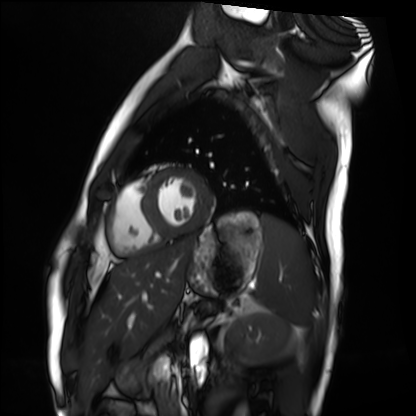
Cardiac MRI. Subject group: healthy volunteer.